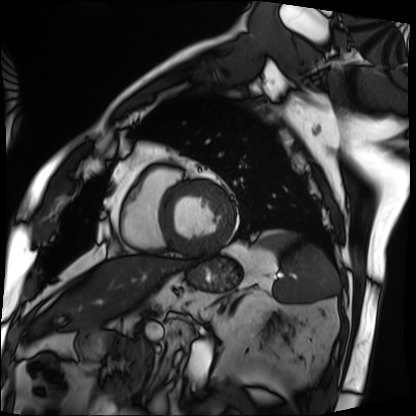
modality — cardiac MRI; subject group — patient.